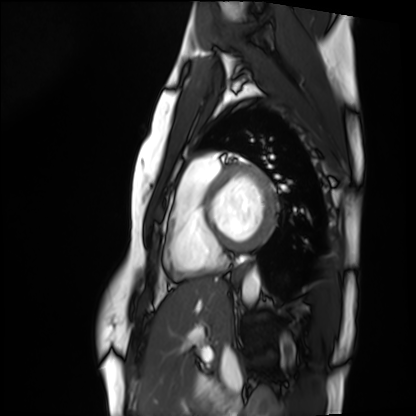
Cardiac MRI. Subject group: healthy volunteer.